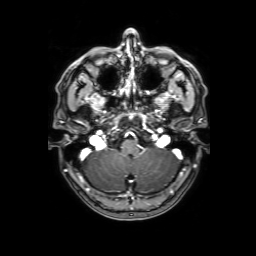
3 Tesla brain MRI. Series: 3D T1-weighted with SENSE. Study: ring-enhancing brain masses.